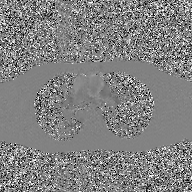
| field | value |
|---|---|
| modality | 2D phase-contrast cine MRI of the ascending aorta, GAN super-resolution reconstruction |